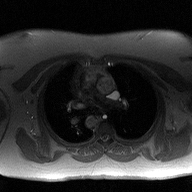
modality = 2D phase-contrast cine MRI of the ascending aorta